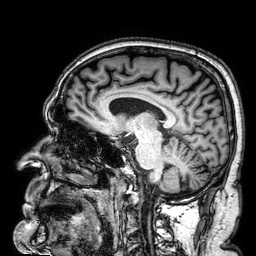
3 Tesla brain MRI.
Study: ring-enhancing brain masses.